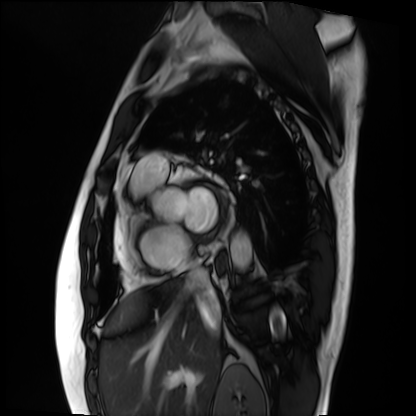
| field | value |
|---|---|
| modality | cardiac MRI |
| subject group | patient |